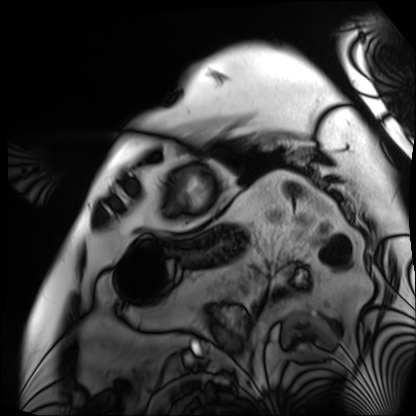
modality = cardiac MRI; subject group = patient.